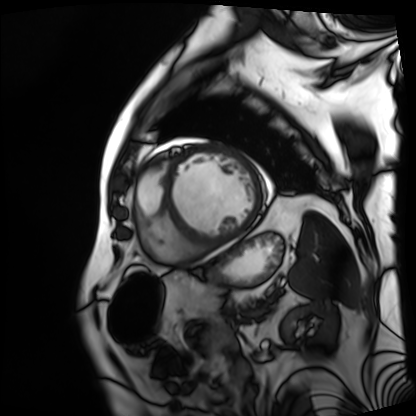
Q: What kind of scan is this?
A: Cardiac MRI.
Subject group: patient.